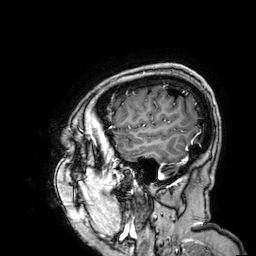
Clinical context:
3 Tesla brain MRI. Series: 3D T1-weighted. Study: ring-enhancing brain masses.